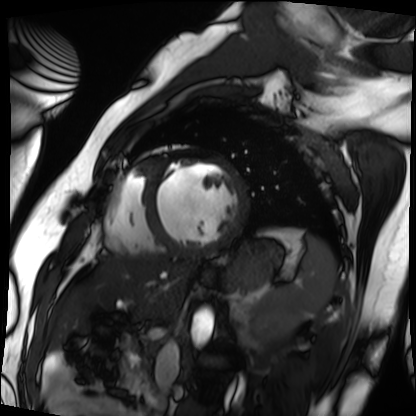
Q: What kind of scan is this?
A: Cardiac MRI.
Subject group: patient.